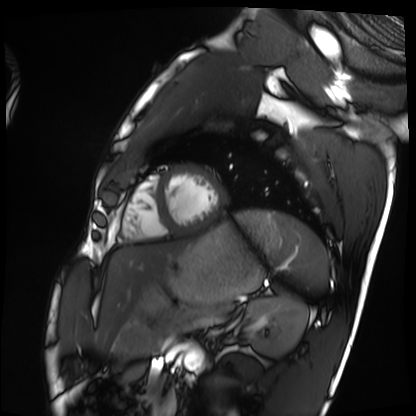
Q: What kind of scan is this?
A: Cardiac MRI.
Subject group: healthy volunteer.